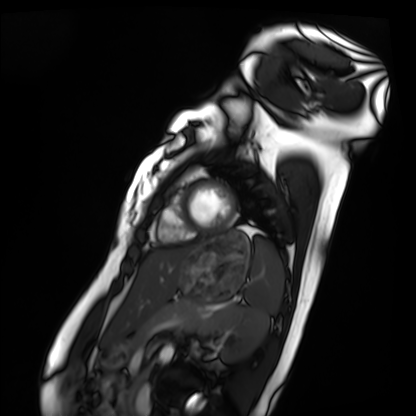
– modality · cardiac MRI
– subject group · healthy volunteer